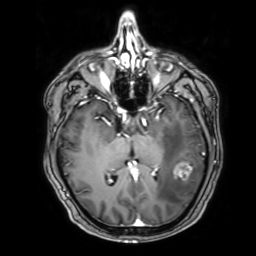
3 Tesla brain MRI. Series: 3D T1-weighted with SENSE. Study: ring-enhancing brain masses.